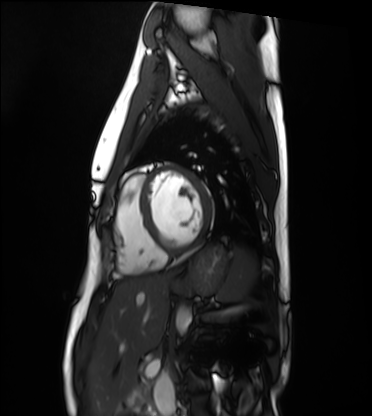
Cardiac MRI.
Subject group: healthy volunteer.